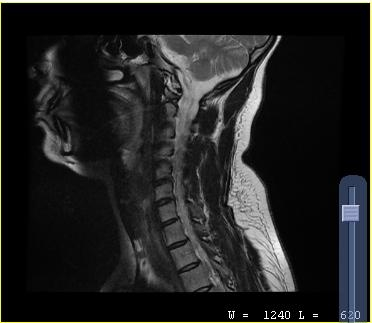
MRI of the cervical spine. Study: cervical spondylosis.